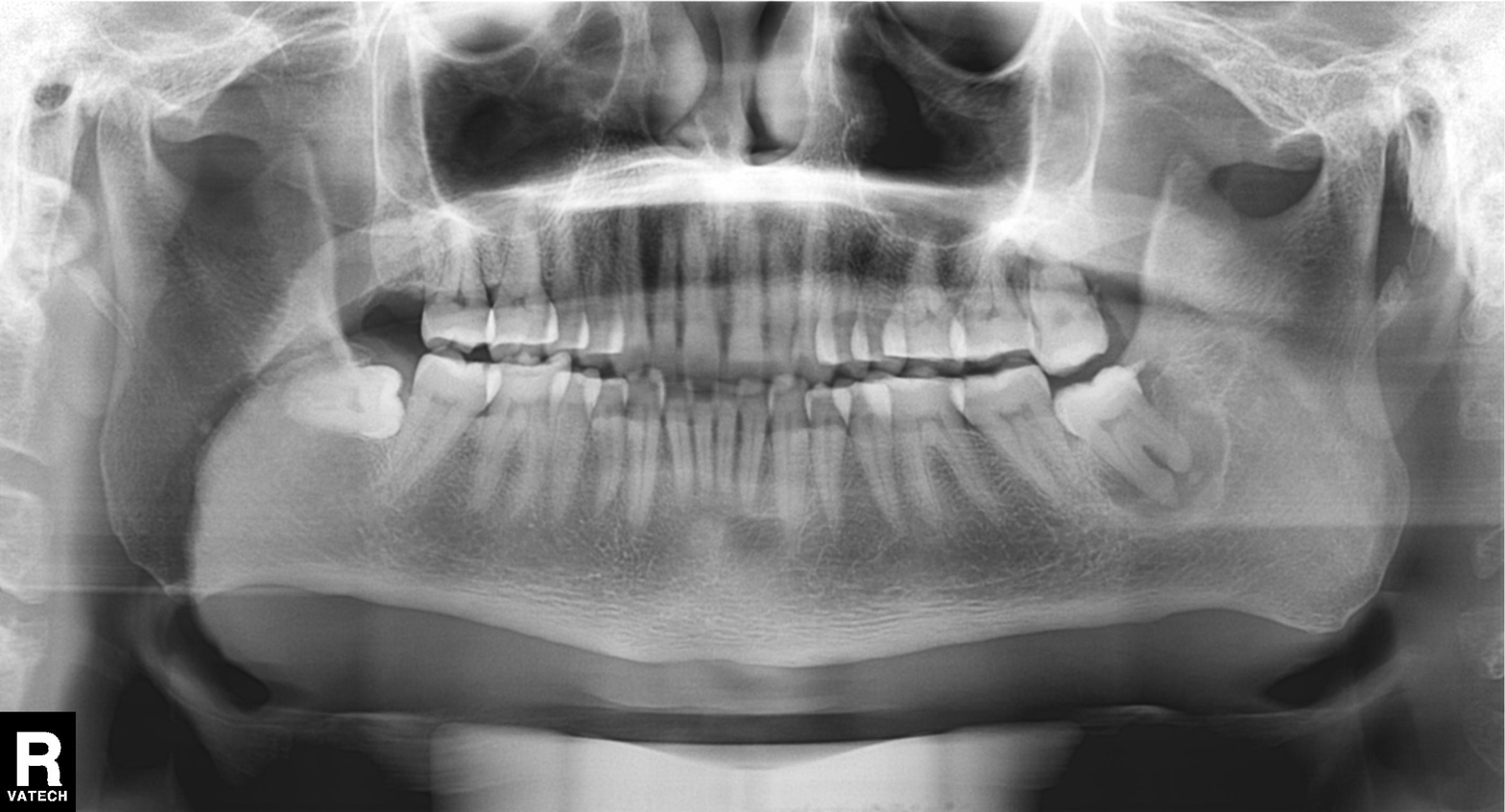
Panoramic dental radiograph (orthopantomogram). Finding: alveolar bone loss.